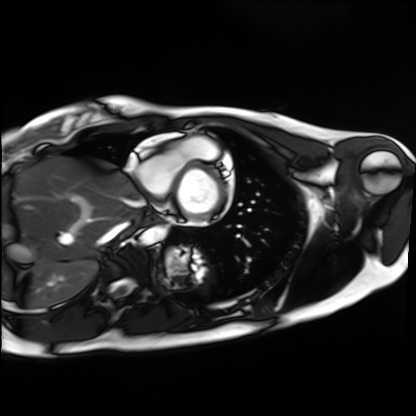
{
  "modality": "cardiac MRI",
  "cohort": "healthy volunteer"
}